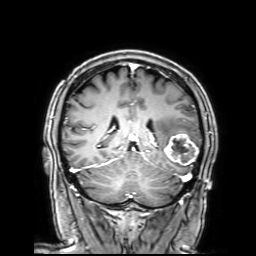
{"modality": {"type": "brain MRI", "field_strength": "3T"}, "series": "3D T1-weighted with SENSE", "study_topic": "ring-enhancing brain masses"}